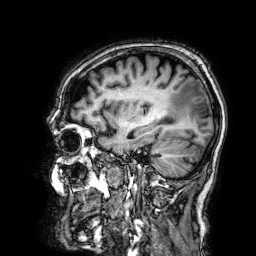
Summary:
3 Tesla brain MRI. Series: 3D T1-weighted. Study: ring-enhancing brain masses.